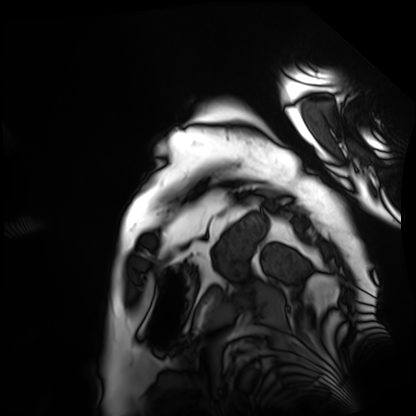
| field | value |
|---|---|
| modality | cardiac MRI |
| subject group | patient |